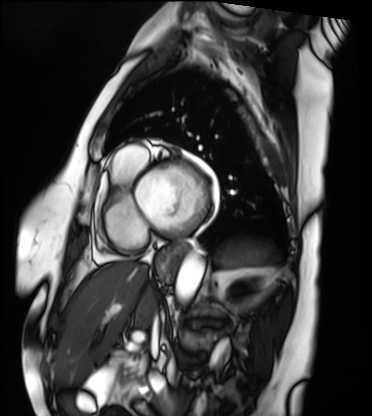
Cardiac MRI. Subject group: patient.